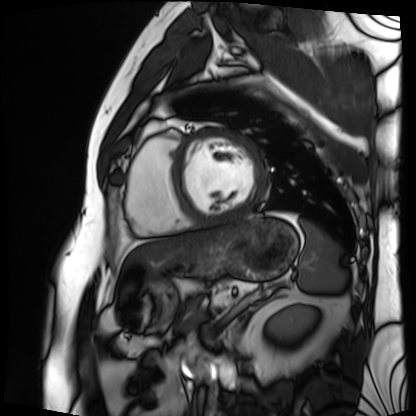
Cardiac MRI.
Subject group: patient.